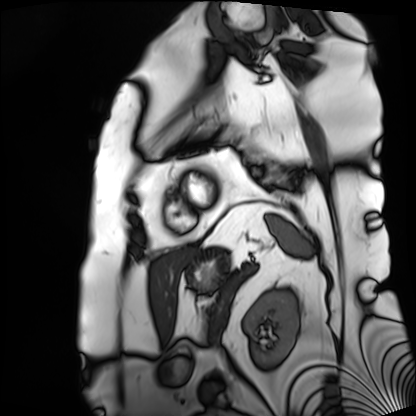
modality: cardiac MRI
cohort: patient